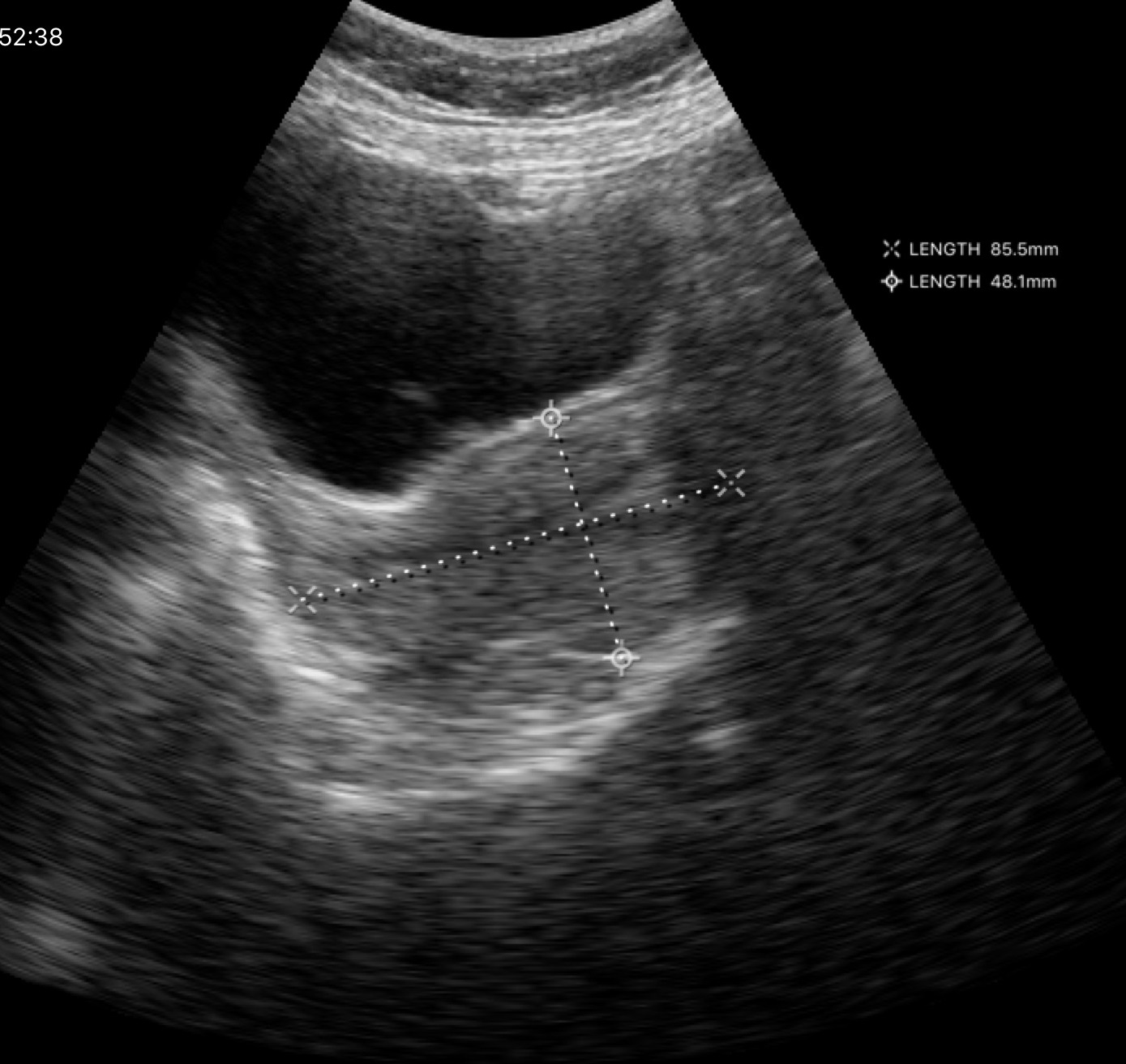
modality — genitourinary ultrasound.